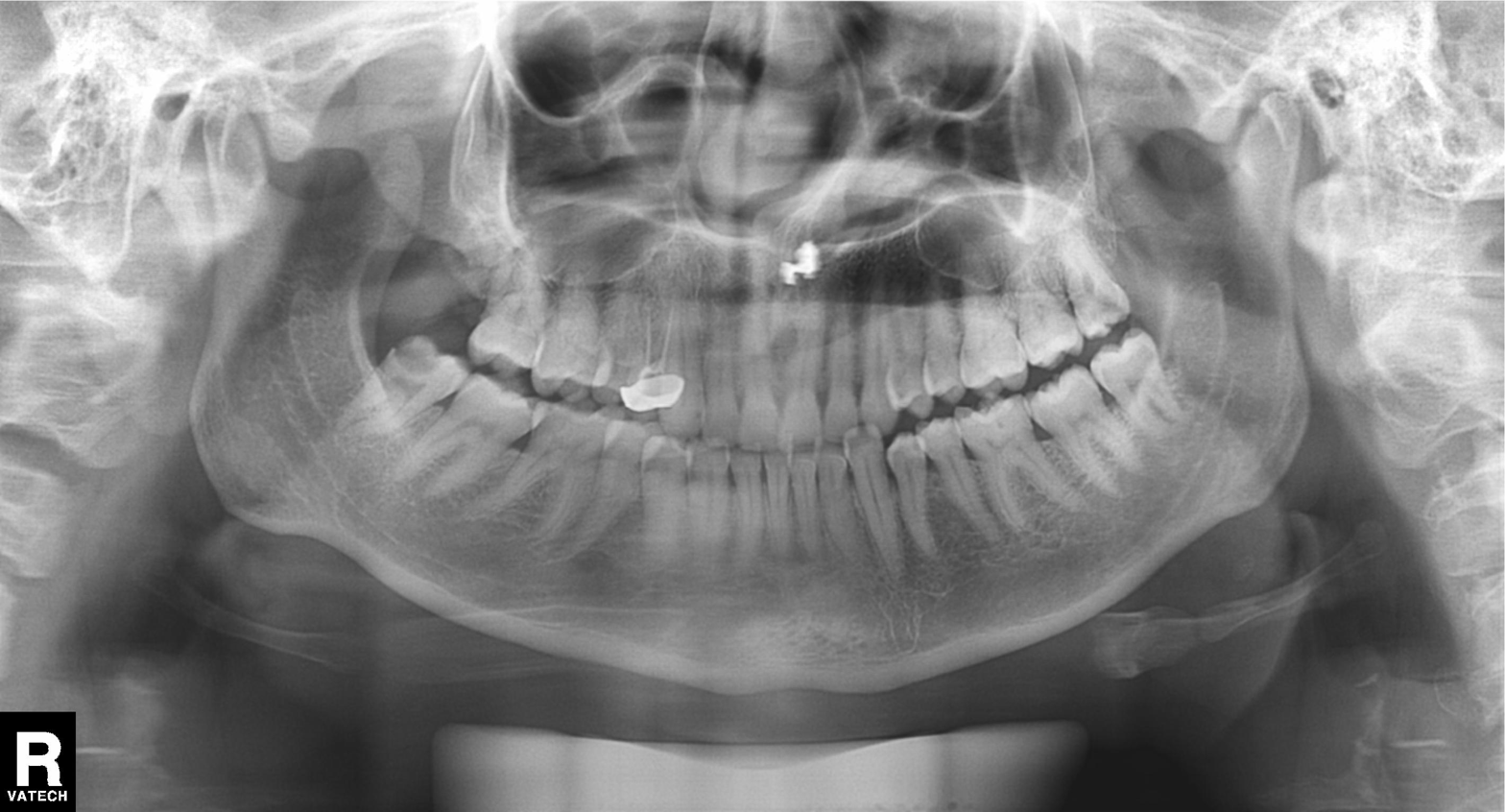
modality: panoramic dental radiograph (orthopantomogram)
finding: dental caries (cavities)